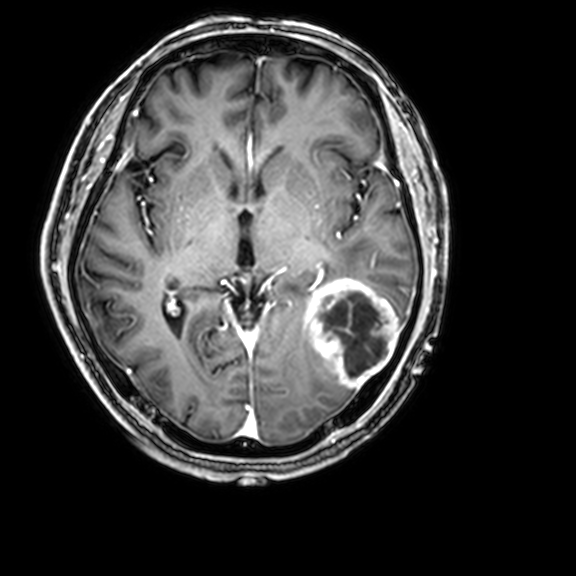
modality = 3 Tesla brain MRI; series = 3D T1-weighted with CLEAR; study = ring-enhancing brain masses.